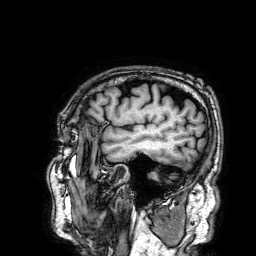
Q: What kind of scan is this?
A: 3 Tesla brain MRI.
Q: Series?
A: 3D T1-weighted.
Study: ring-enhancing brain masses.